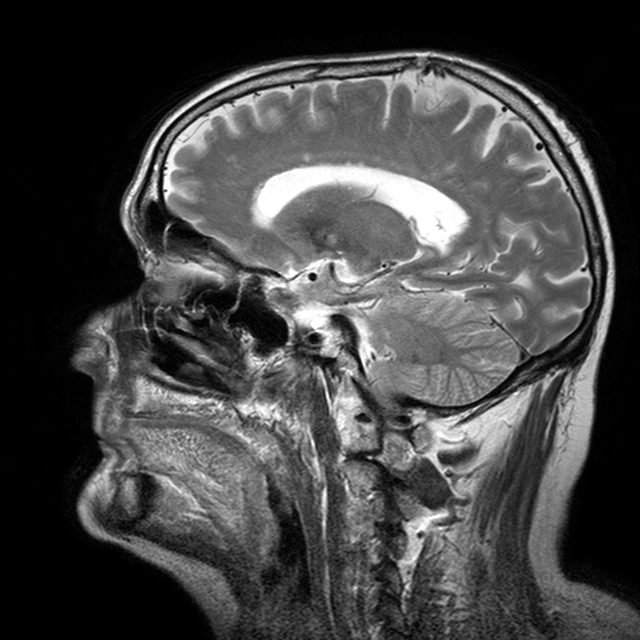
modality: 3 Tesla brain MRI | series: T2-weighted turbo spin echo with CLEAR | study: ring-enhancing brain masses.